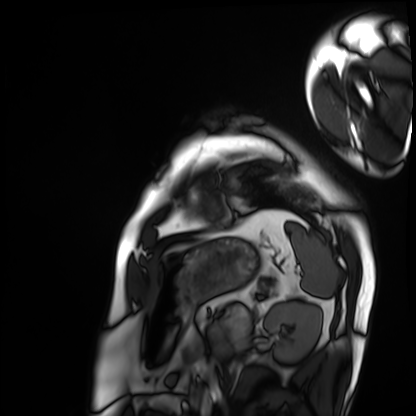
  modality: cardiac MRI
  cohort: patient